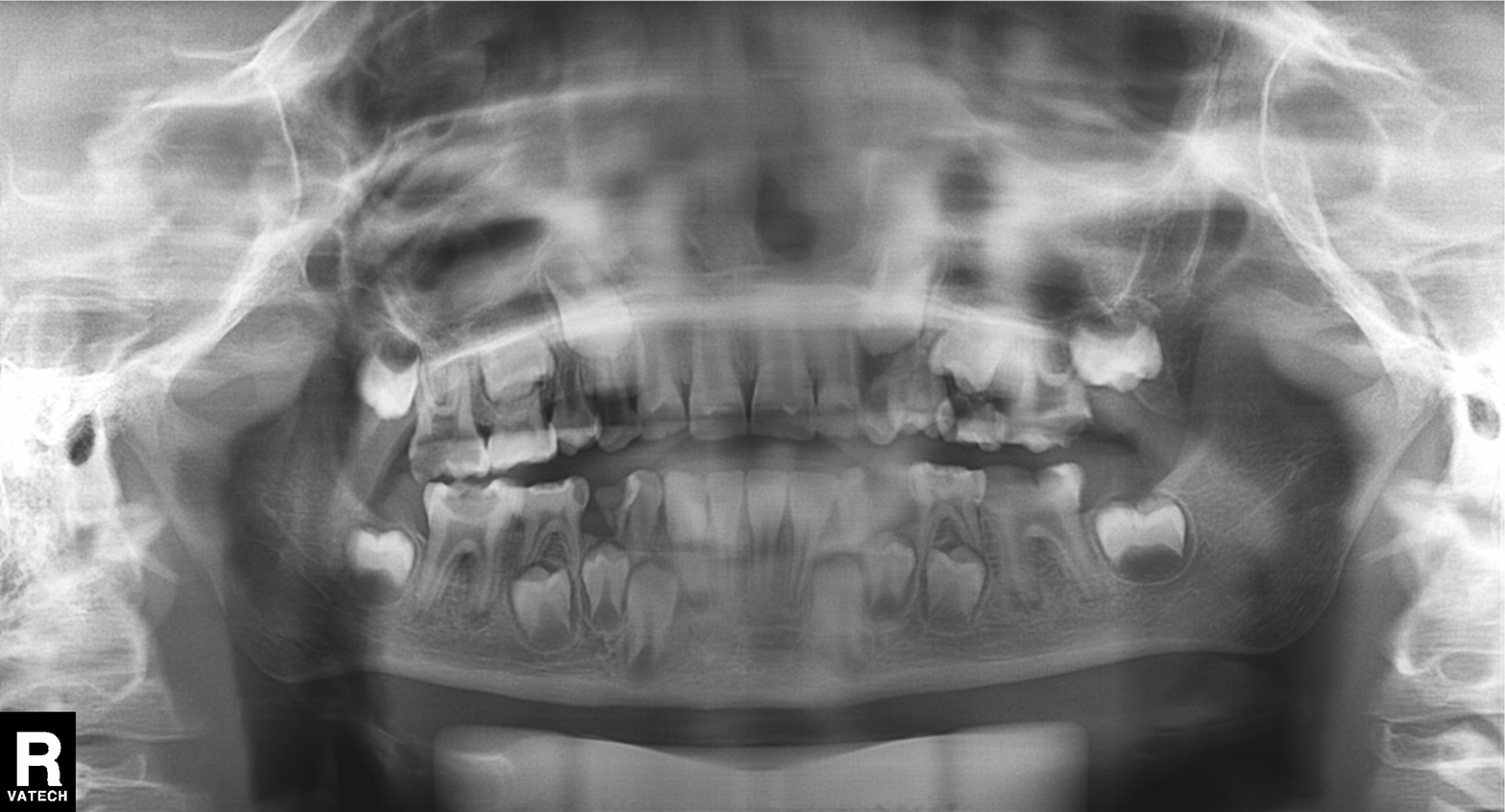
Panoramic dental radiograph (orthopantomogram). Finding: tooth impaction.